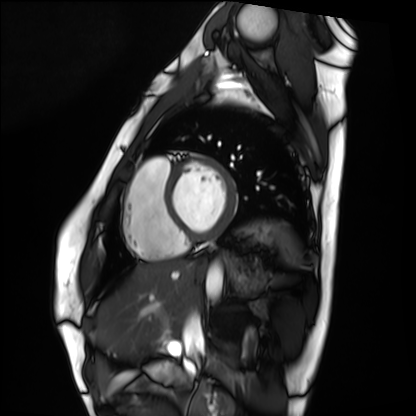
Q: What kind of scan is this?
A: Cardiac MRI.
Subject group: healthy volunteer.